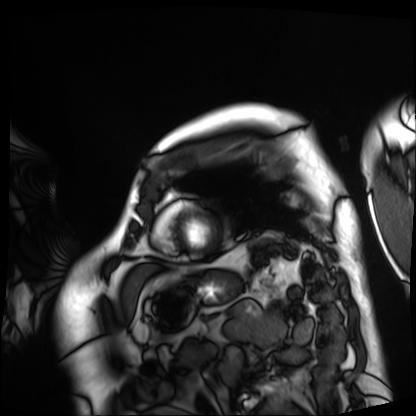
Cardiac MRI.
Subject group: patient.